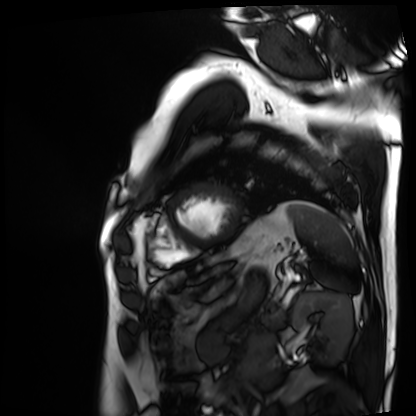
{
  "modality": "cardiac MRI",
  "cohort": "patient"
}